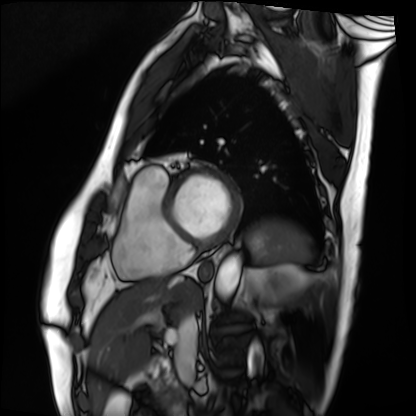
| field | value |
|---|---|
| modality | cardiac MRI |
| subject group | patient |